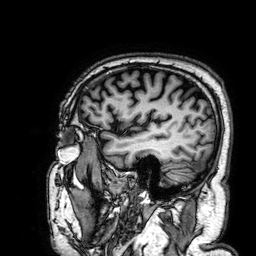
Case summary: 3 Tesla brain MRI. Series: 3D T1-weighted. Study: ring-enhancing brain masses.